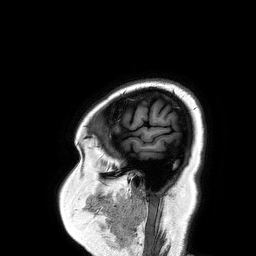
3 Tesla brain MRI. Series: 3D T1-weighted turbo field echo. Study: ring-enhancing brain masses.